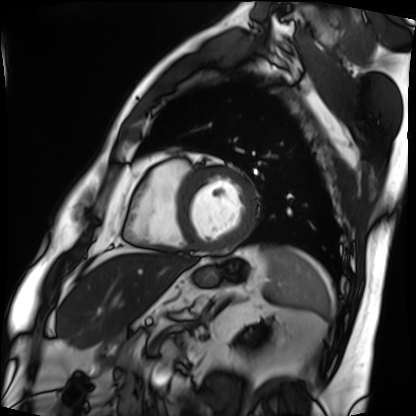
modality: cardiac MRI
subject group: patient